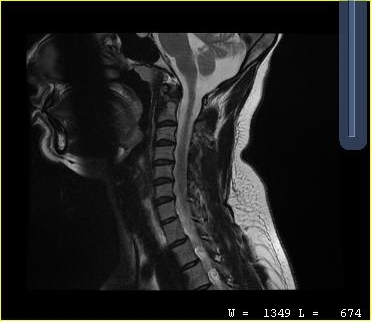
MRI of the cervical spine. Study: cervical spondylosis.